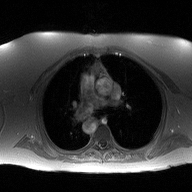
modality: 2D phase-contrast cine MRI of the ascending aorta.